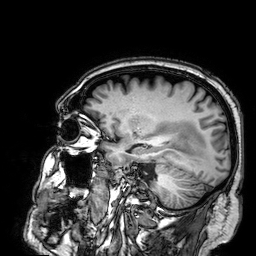
3 Tesla brain MRI. Series: 3D T1-weighted. Study: ring-enhancing brain masses.